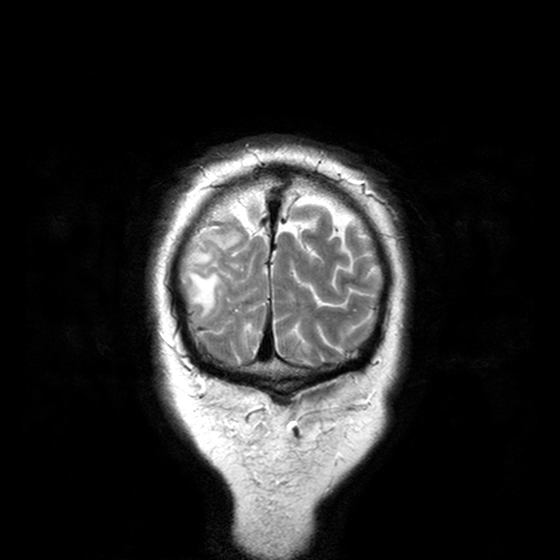
modality: 3 Tesla brain MRI
series: T2-weighted turbo spin echo with CLEAR
study: ring-enhancing brain masses